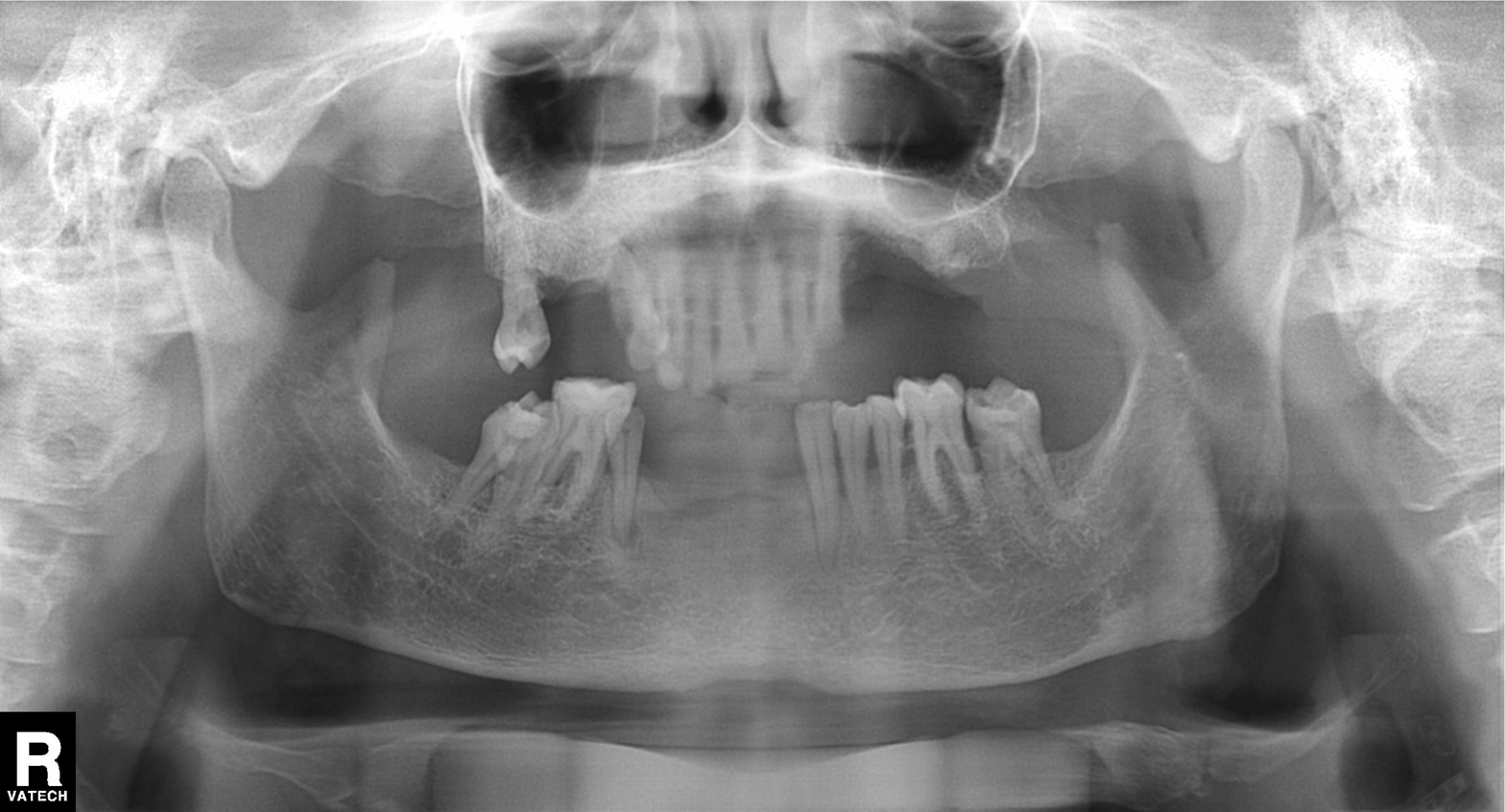
Panoramic dental radiograph (orthopantomogram). Finding: tooth impaction.